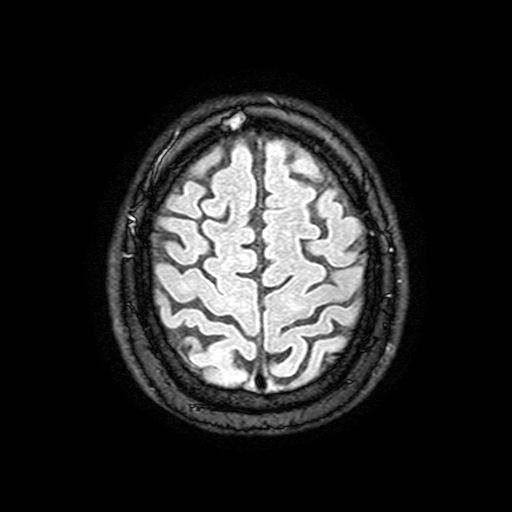
modality: 3 Tesla brain MRI | series: FLAIR with SPAIR, 3 mm | study: ring-enhancing brain masses.